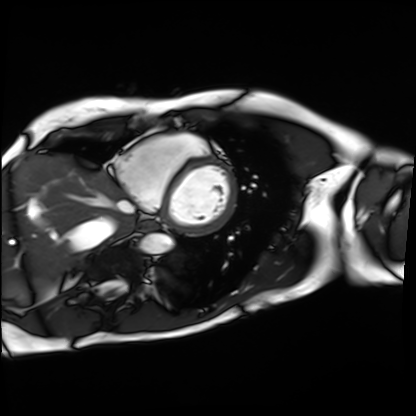
Q: What kind of scan is this?
A: Cardiac MRI.
Subject group: patient.